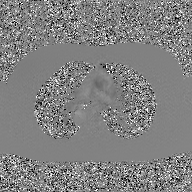
modality = 2D phase-contrast cine MRI of the ascending aorta, GAN super-resolution reconstruction.